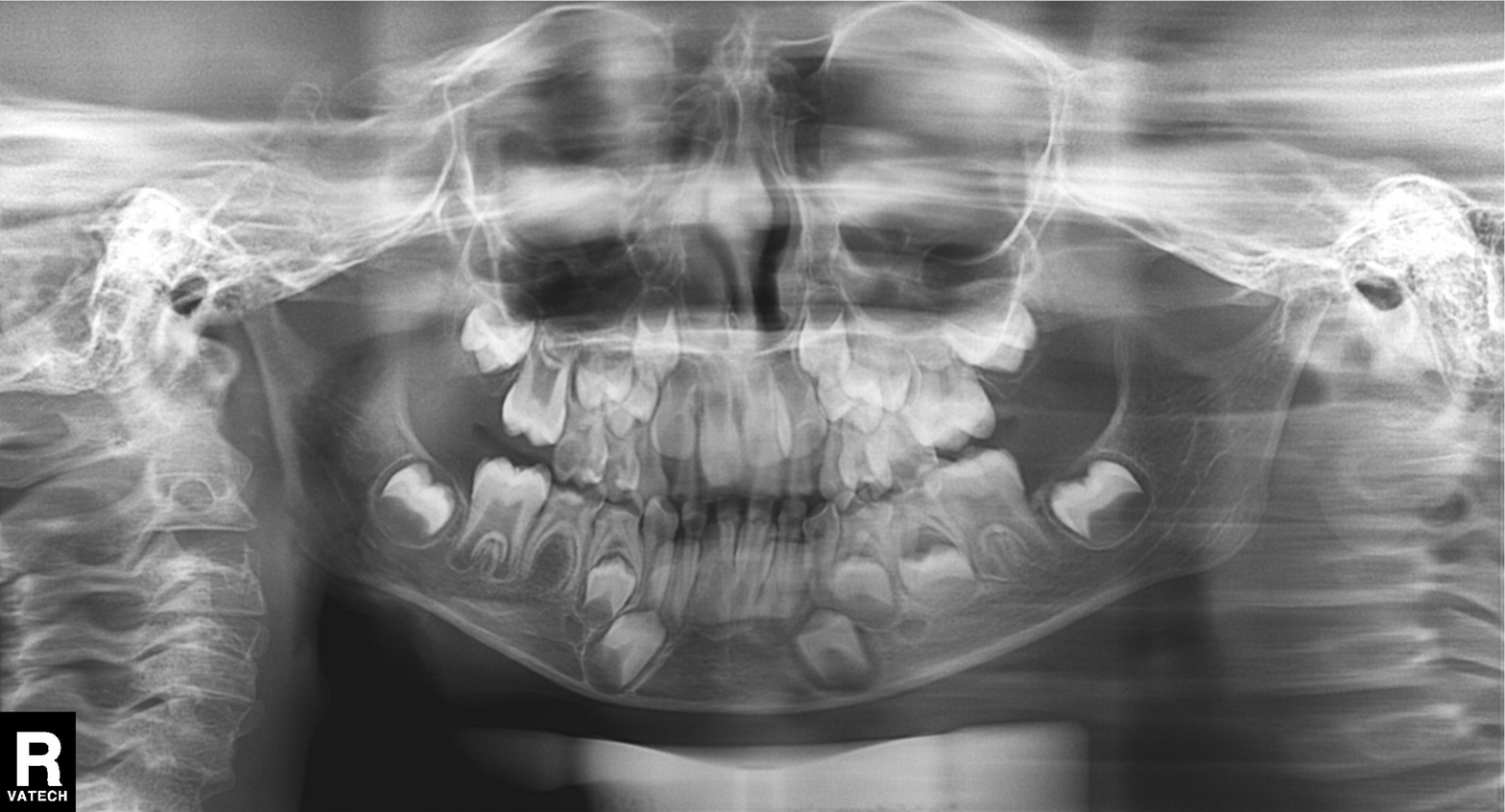
Panoramic dental radiograph (orthopantomogram).
Finding: alveolar bone loss.